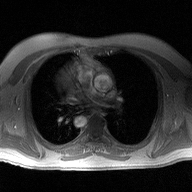
Summary: 2D phase-contrast cine MRI of the ascending aorta, high-resolution GRAPPA acquisition.